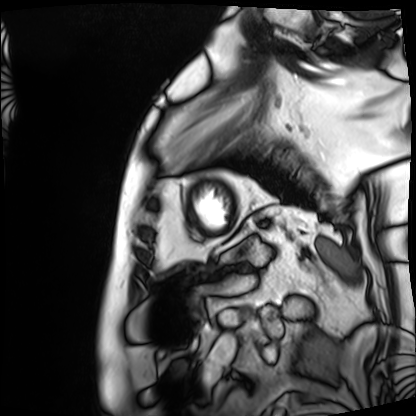
Summary: Cardiac MRI. Subject group: patient.